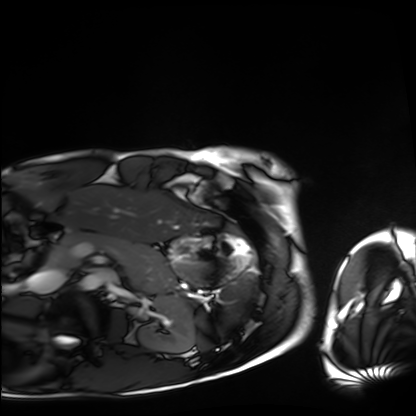
modality: cardiac MRI; subject group: healthy volunteer.